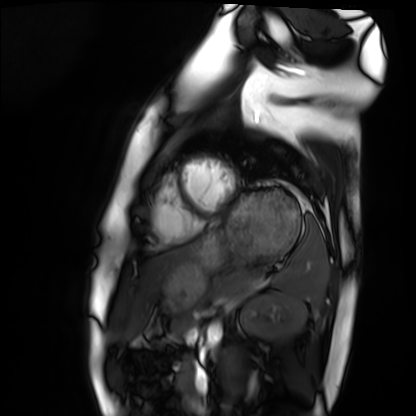
modality = cardiac MRI
subject group = healthy volunteer